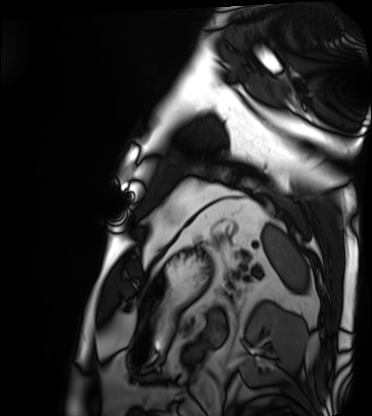
Clinical context:
Cardiac MRI. Subject group: patient.